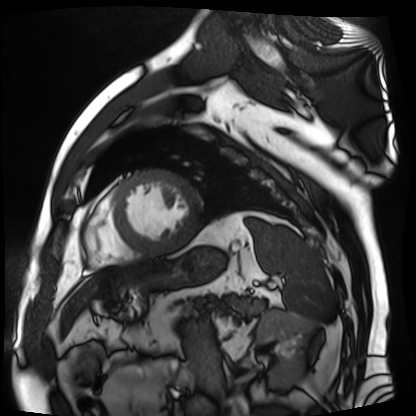
Q: What kind of scan is this?
A: Cardiac MR image of the myocardium.
Subject cohort: cardiac patient.